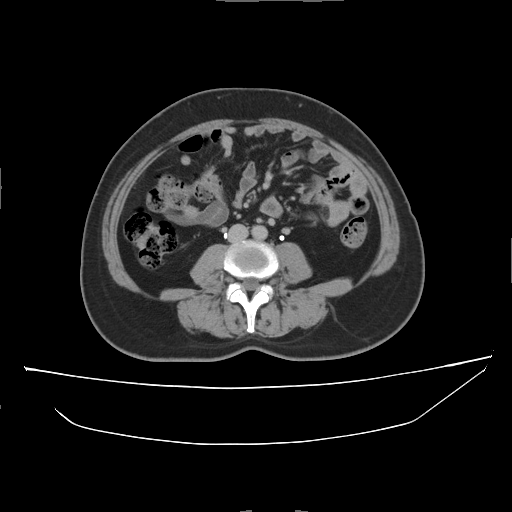
Multiphase abdominal CT, liver, delayed phase.
Patient: female, age 56.
History: prior chemotherapy.